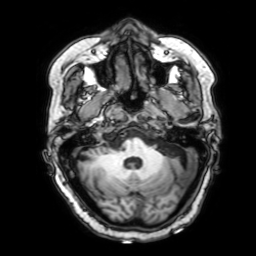
<record>
<modality>
  <type>brain MRI</type>
  <field_strength>3T</field_strength>
</modality>
<series>3D T1-weighted with SENSE</series>
<study_topic>ring-enhancing brain masses</study_topic>
</record>